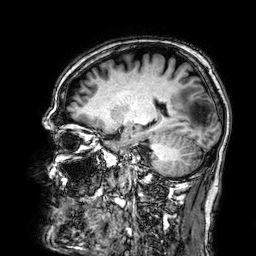
{
  "modality": {
    "type": "brain MRI",
    "field_strength": "3T"
  },
  "series": "3D T1-weighted",
  "study_topic": "ring-enhancing brain masses"
}